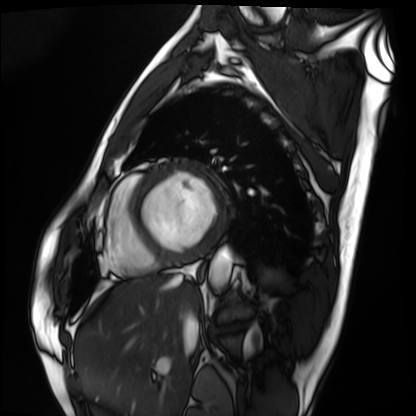
{
  "modality": "cardiac MRI",
  "cohort": "patient"
}